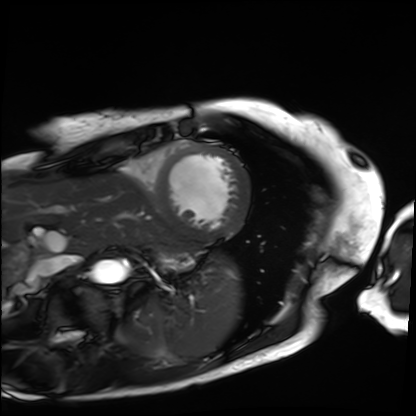
Case summary: Cardiac MRI. Subject group: patient.